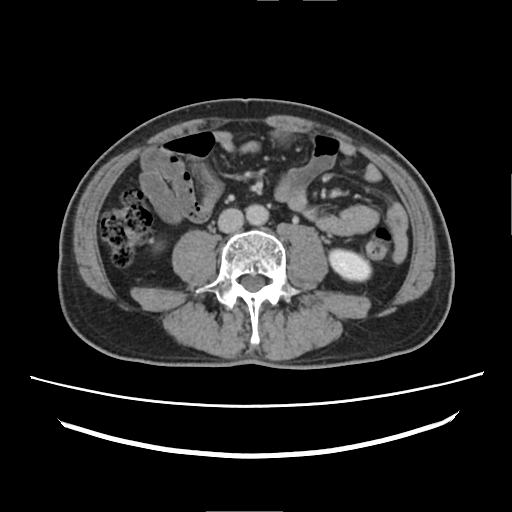
Clinical context:
Multiphase abdominal CT, liver, delayed phase. Patient: male, age 52. History: prior chemotherapy.